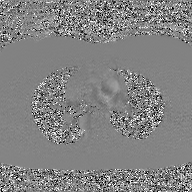
2D phase-contrast cine MRI of the ascending aorta, GAN super-resolution reconstruction.